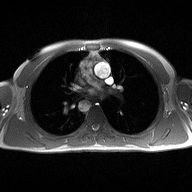
Summary: 2D phase-contrast cine MRI of the ascending aorta, high-resolution GRAPPA acquisition.